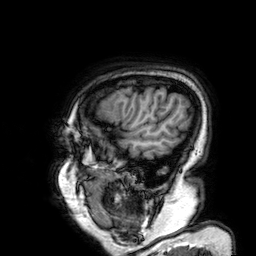
modality — 3 Tesla brain MRI
series — 3D T1-weighted
study — ring-enhancing brain masses